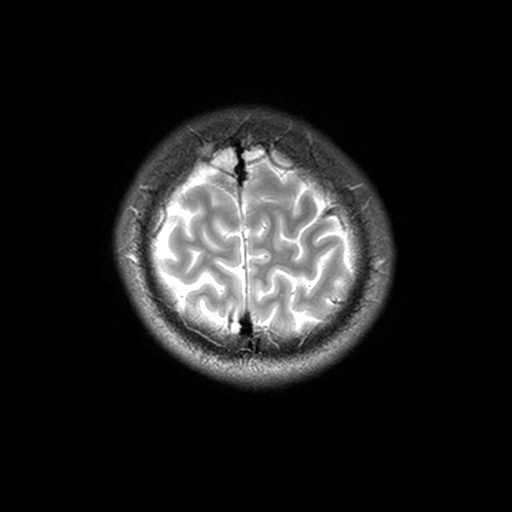
Q: What kind of scan is this?
A: 3 Tesla brain MRI.
Q: Series?
A: T2-weighted turbo spin echo, 3 mm.
Study: ring-enhancing brain masses.